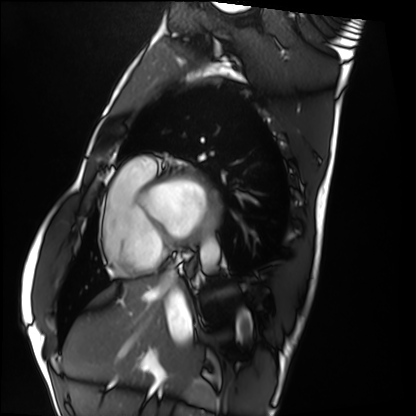
Cardiac MRI.
Subject group: healthy volunteer.